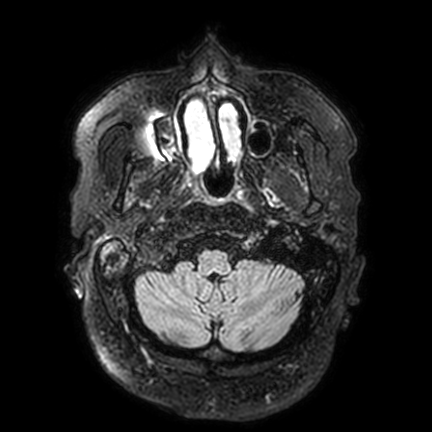
modality=3 Tesla brain MRI | series=FLAIR VISTA with SENSE | study=ring-enhancing brain masses.